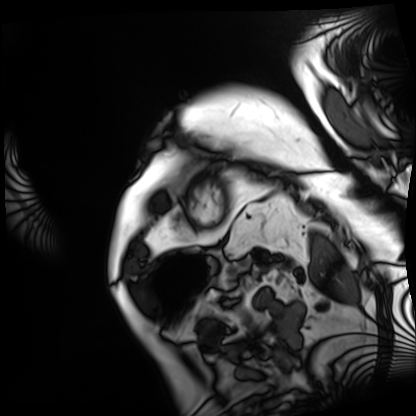
Summary: Cardiac MRI. Subject group: patient.